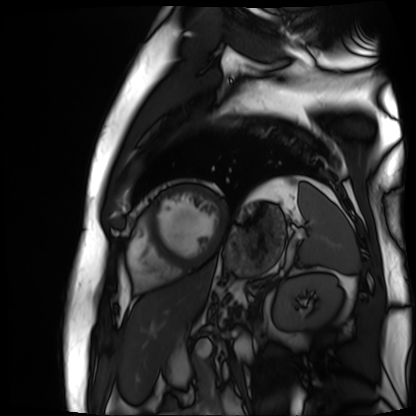
modality: cardiac MR image of the myocardium | subject cohort: cardiac patient.